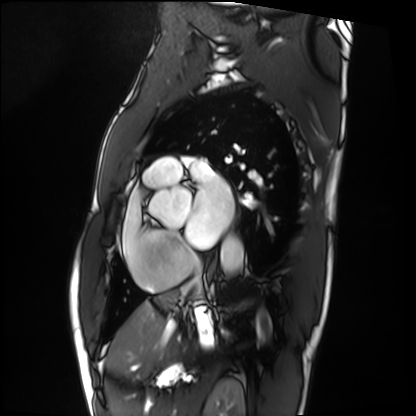
Summary: Cardiac MRI. Subject group: patient.